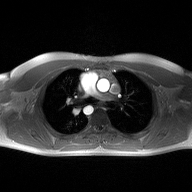
Clinical context:
2D phase-contrast cine MRI of the ascending aorta, high-resolution GRAPPA acquisition.